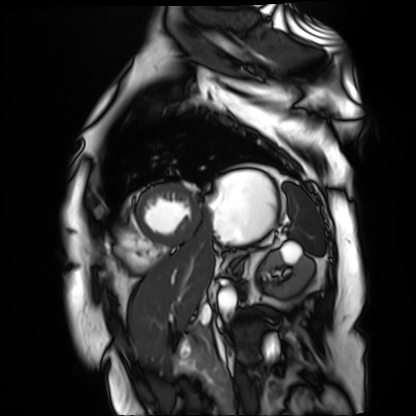
modality: cardiac MR image of the myocardium, subject cohort: cardiac patient.